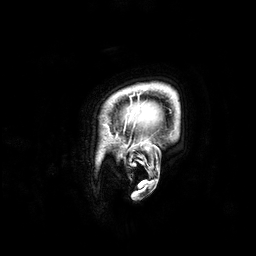
3 Tesla brain MRI.
Series: 3D T1-weighted.
Study: ring-enhancing brain masses.